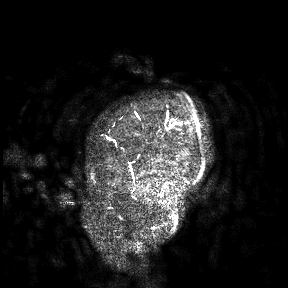
Q: What kind of scan is this?
A: 3 Tesla brain MRI.
Study: ring-enhancing brain masses.